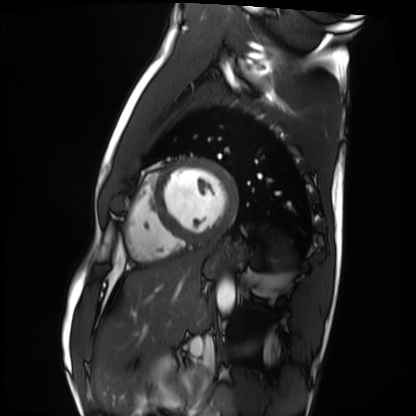
modality: cardiac MRI
subject group: healthy volunteer